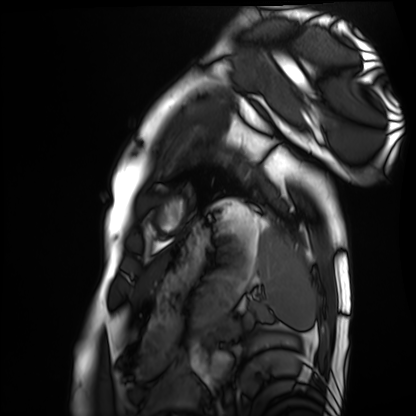
modality: cardiac MRI
cohort: healthy volunteer